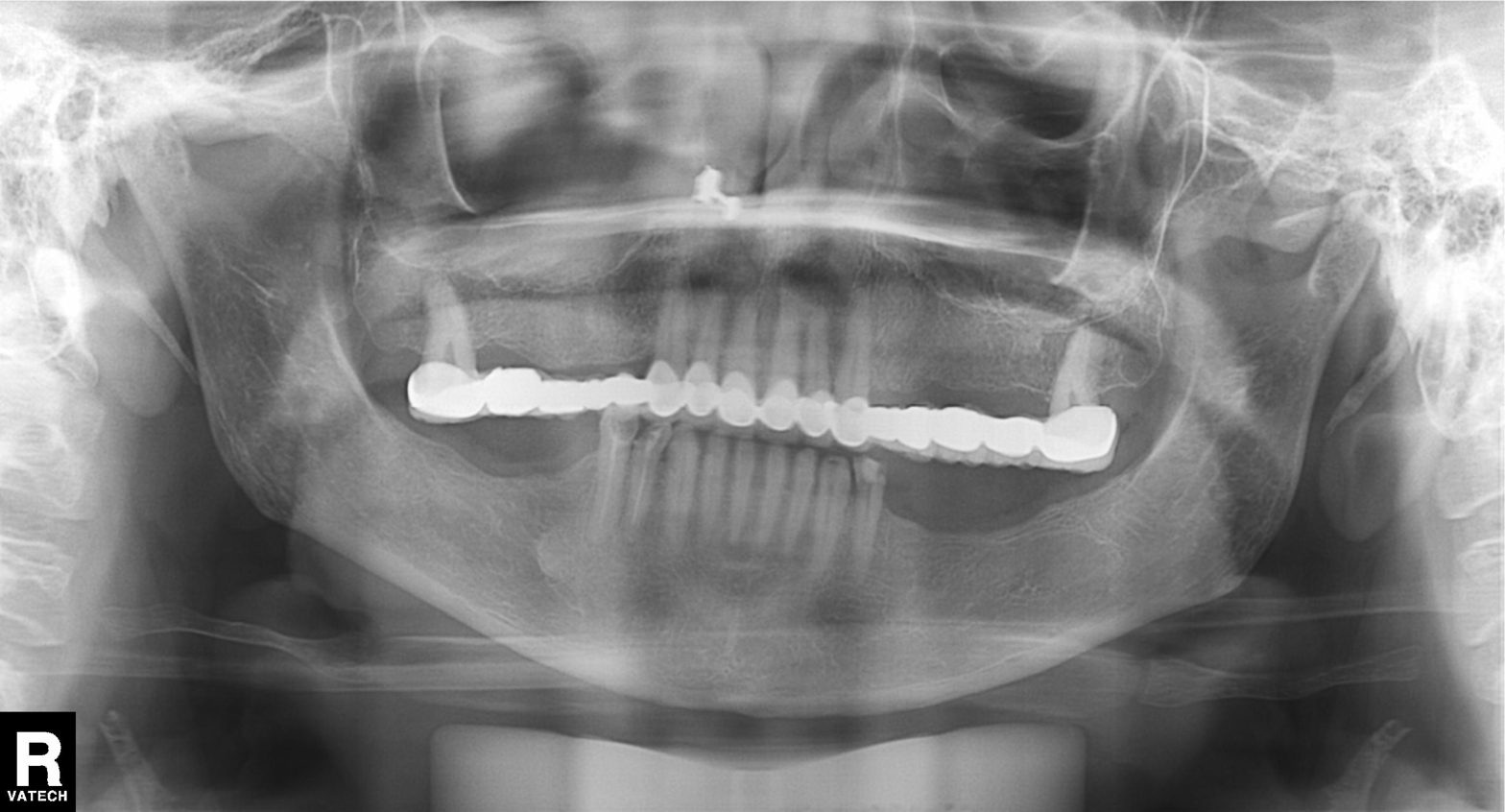
modality = panoramic dental radiograph (orthopantomogram), finding = dental caries (cavities).